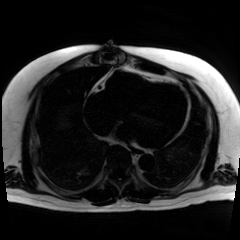
modality: chemical-shift-encoded cardiac MRI